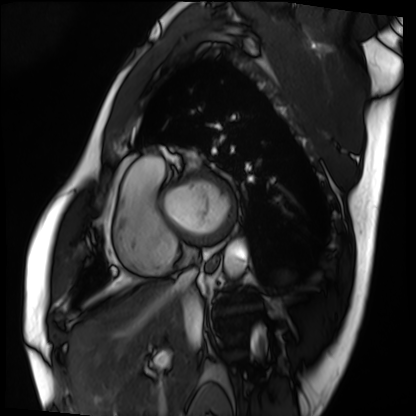
Cardiac MRI.
Subject group: patient.